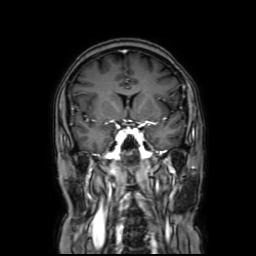
modality: 3 Tesla brain MRI | series: coronal with contrast | study: ring-enhancing brain masses.